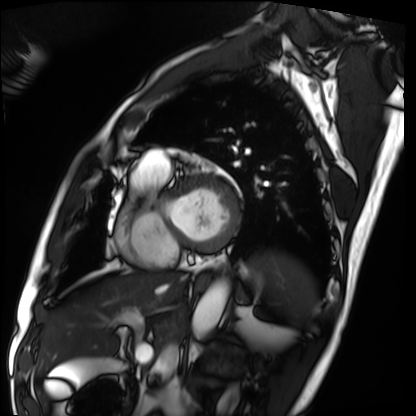
Cardiac MRI. Subject group: patient.